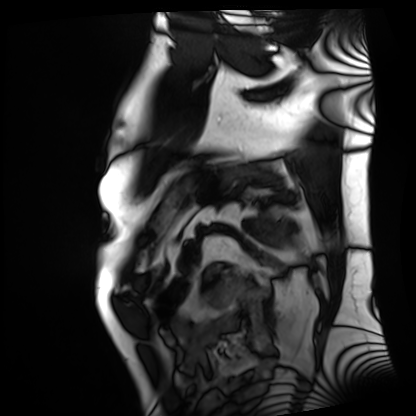
Summary: Cardiac MRI. Subject group: patient.